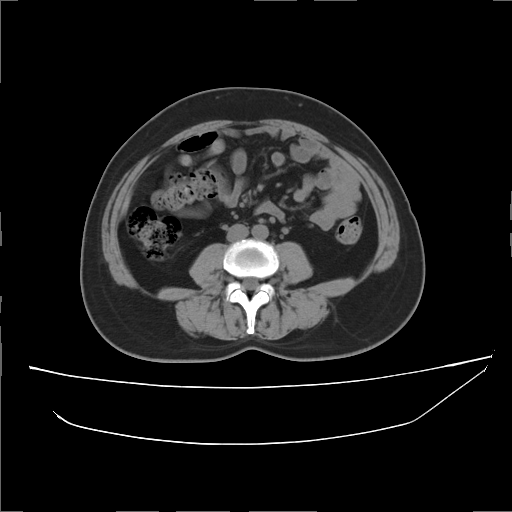
| field | value |
|---|---|
| modality | multiphase abdominal CT, liver, non-contrast phase |
| patient | female, age 56 |
| history | prior chemotherapy |